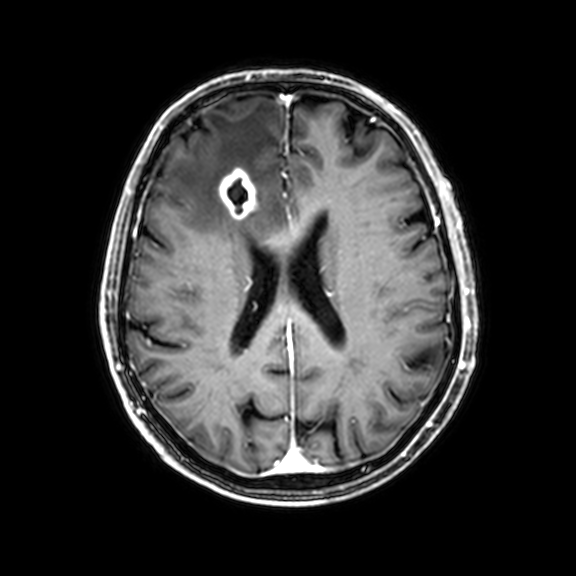
| field | value |
|---|---|
| modality | 3 Tesla brain MRI |
| series | 3D T1-weighted with CLEAR |
| study | ring-enhancing brain masses |